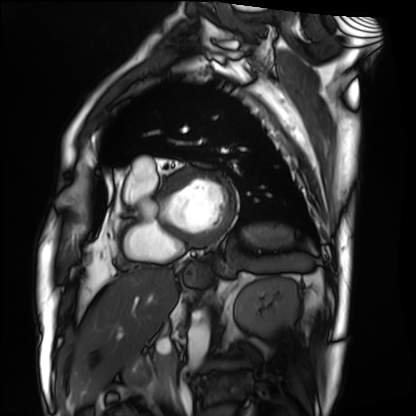
Cardiac MRI. Subject group: patient.